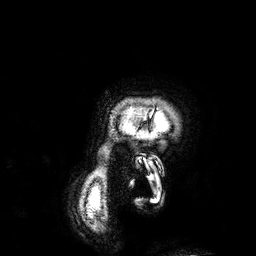
Case:
* modality — 3 Tesla brain MRI
* series — 3D T1-weighted
* study — ring-enhancing brain masses